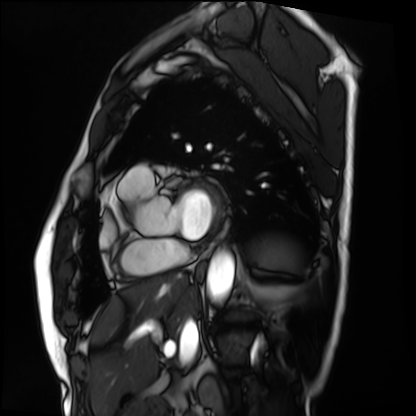
  modality: cardiac MRI
  cohort: patient